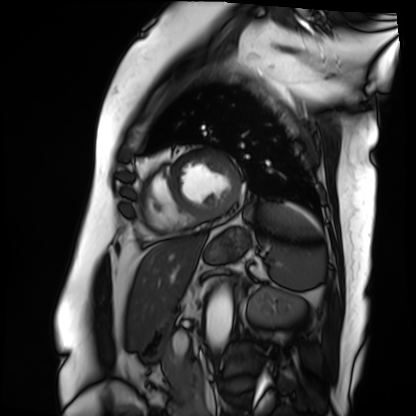
Summary:
Cardiac MRI. Subject group: patient.